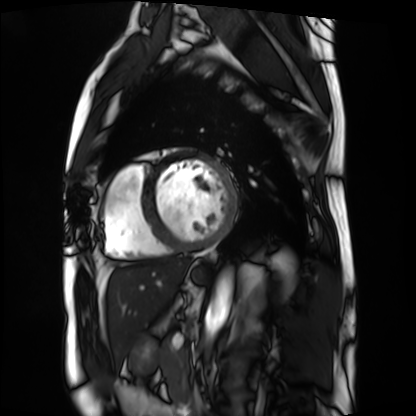
{"modality": "cardiac MRI", "cohort": "patient"}